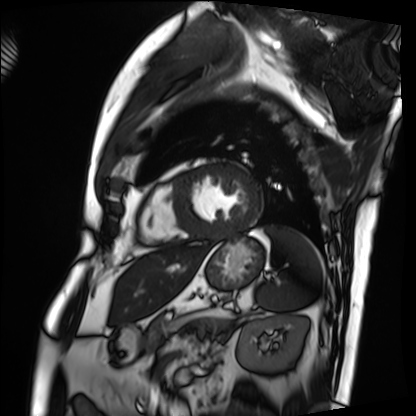
Cardiac MRI.
Subject group: patient.